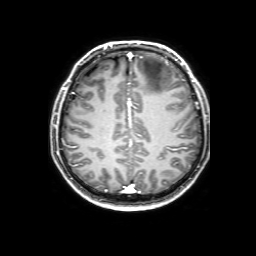
• modality: 3 Tesla brain MRI
• series: 3D T1-weighted with SENSE
• study: ring-enhancing brain masses